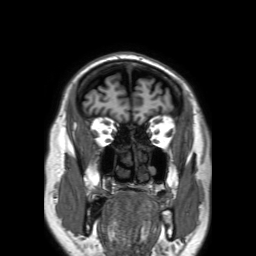
3 Tesla brain MRI. Series: 3D T1-weighted TFE with SENSE. Study: ring-enhancing brain masses.